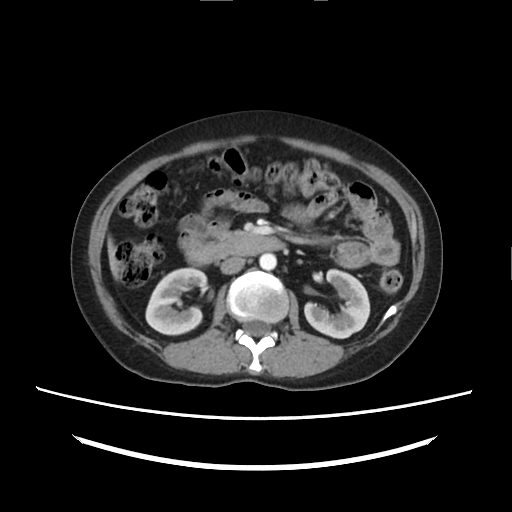
Clinical context: Multiphase abdominal CT, liver, arterial phase. Patient: female, age 39.